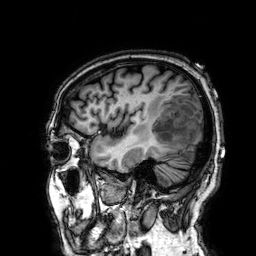
Summary:
3 Tesla brain MRI. Series: 3D T1-weighted. Study: ring-enhancing brain masses.